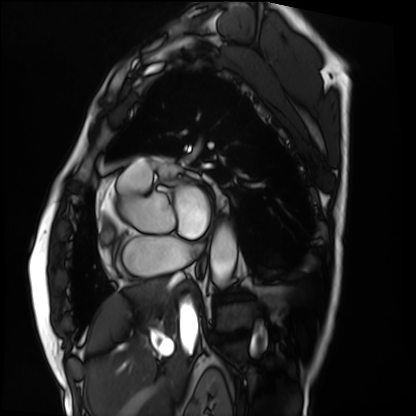
modality = cardiac MRI | subject group = patient.